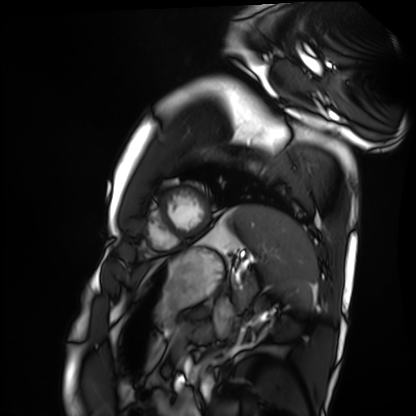
modality — cardiac MRI
subject group — healthy volunteer